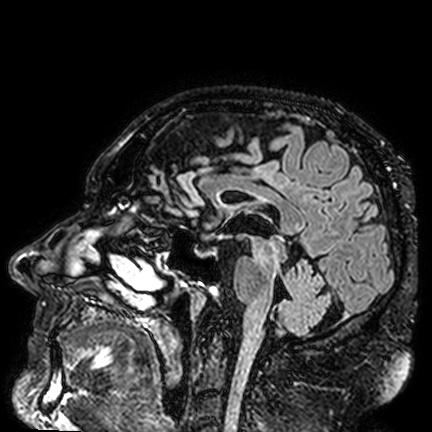
3 Tesla brain MRI. Series: FLAIR VISTA. Study: ring-enhancing brain masses.